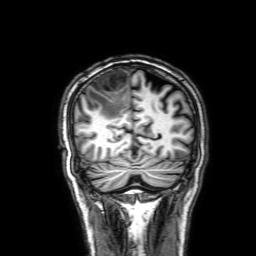
3 Tesla brain MRI. Series: 3D T1-weighted with SENSE. Study: ring-enhancing brain masses.